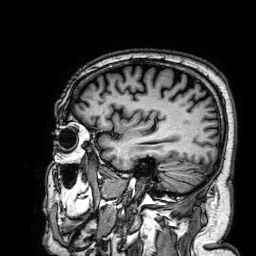
3 Tesla brain MRI. Series: 3D T1-weighted. Study: ring-enhancing brain masses.